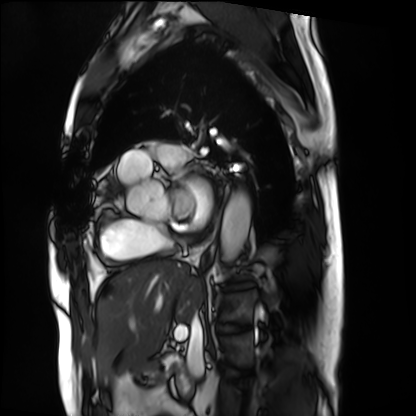
Cardiac MRI.
Subject group: patient.